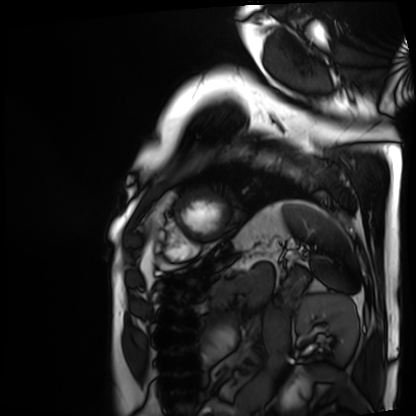
{"modality": "cardiac MRI", "cohort": "patient"}